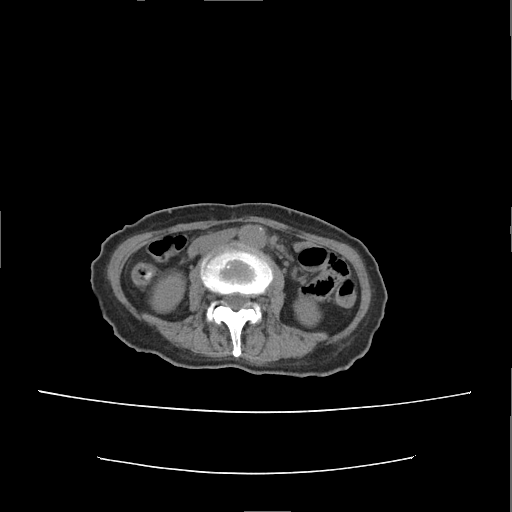
modality: multiphase abdominal CT, liver, non-contrast phase | patient: female, age 55 | history: prior chemotherapy.